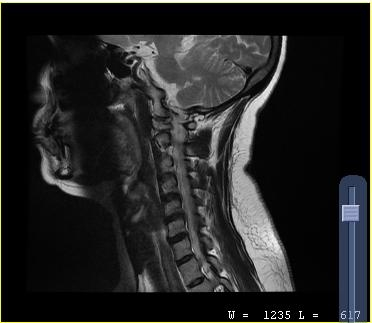
Q: What kind of scan is this?
A: MRI of the cervical spine.
Study: cervical spondylosis.